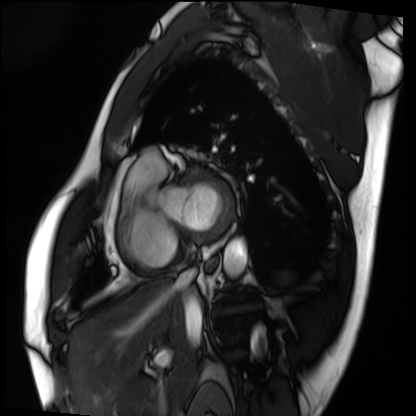
modality: cardiac MRI | subject group: patient.